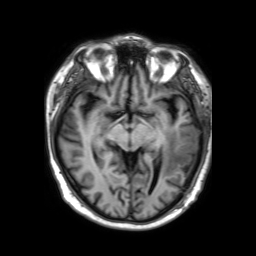
3 Tesla brain MRI. Series: 3D T1-weighted TFE with SENSE. Study: ring-enhancing brain masses.